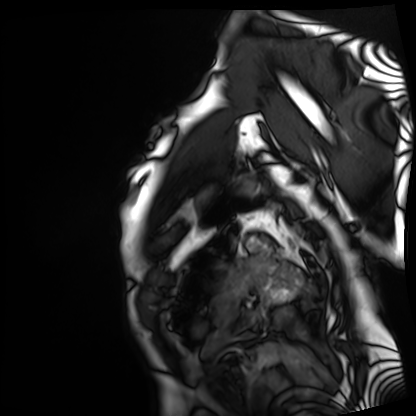
Cardiac MRI.
Subject group: patient.